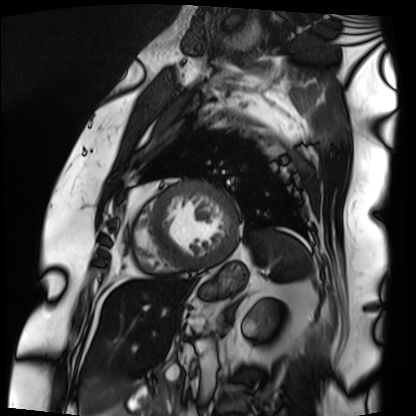
Cardiac MRI. Subject group: patient.